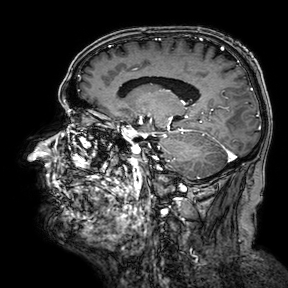
| field | value |
|---|---|
| modality | 3 Tesla brain MRI |
| series | 3D T1-weighted turbo field echo with SENSE |
| study | ring-enhancing brain masses |